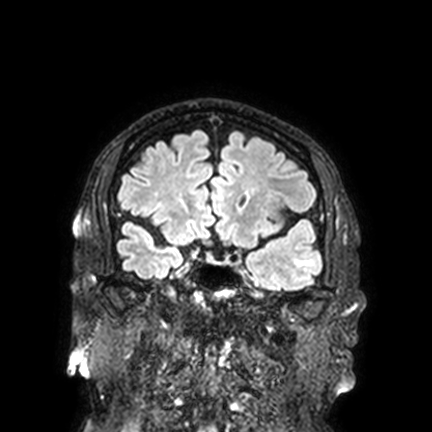
modality = 3 Tesla brain MRI; series = FLAIR VISTA with SENSE; study = ring-enhancing brain masses.